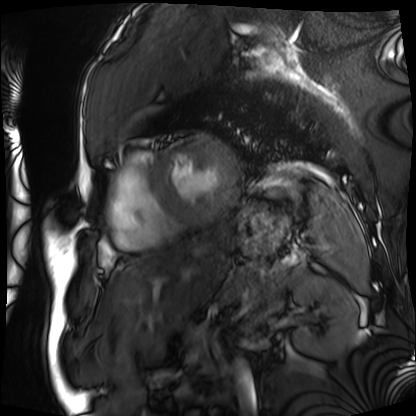
modality=cardiac MRI; subject group=patient.